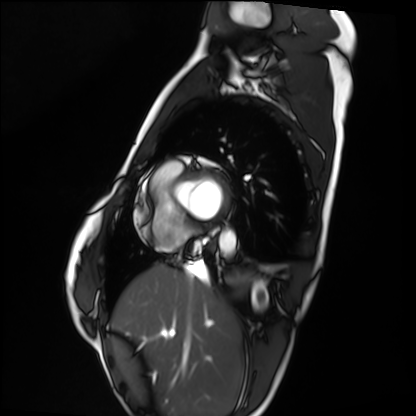
Case:
* modality — cardiac MRI
* subject group — healthy volunteer